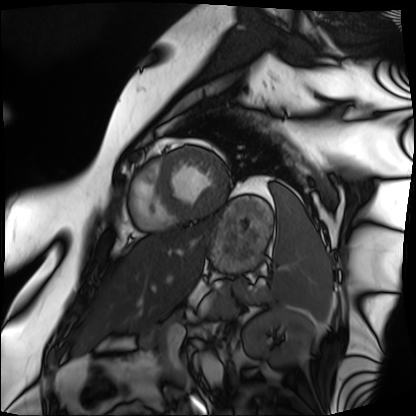
modality = cardiac MRI
subject group = patient